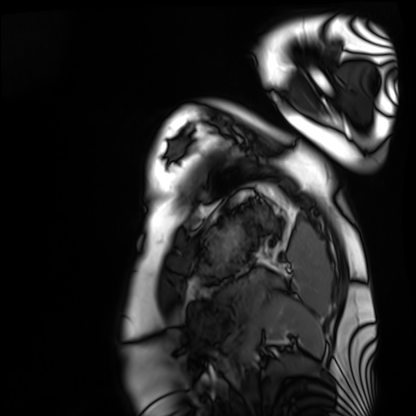
Case:
• modality · cardiac MRI
• subject group · healthy volunteer